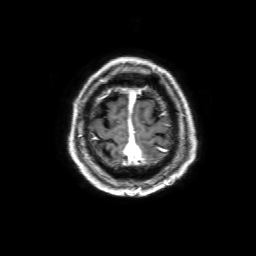
modality: 3 Tesla brain MRI; series: 3D T1-weighted with SENSE; study: ring-enhancing brain masses.